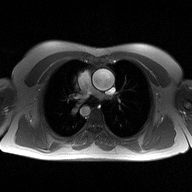
Case summary:
2D phase-contrast cine MRI of the ascending aorta, high-resolution GRAPPA acquisition.